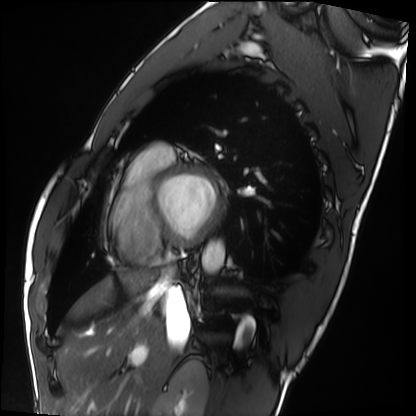
Cardiac MRI. Subject group: healthy volunteer.